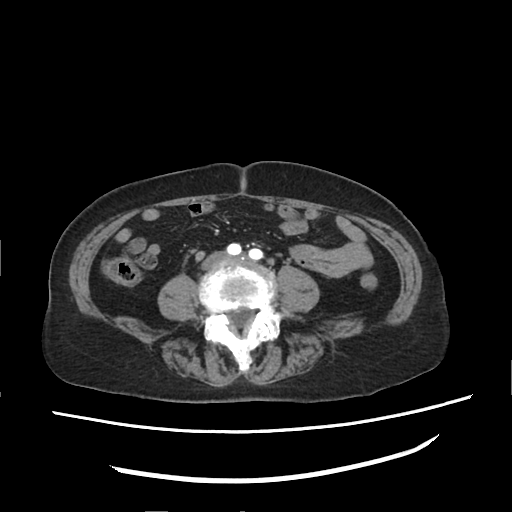
Summary: Multiphase abdominal CT, liver, arterial phase. Patient: female, age 75.